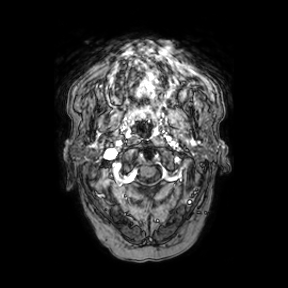
3 Tesla brain MRI.
Study: ring-enhancing brain masses.